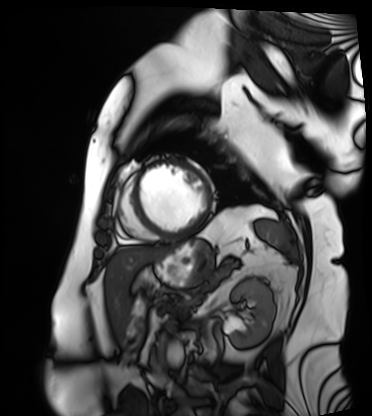
Cardiac MRI.
Subject group: patient.